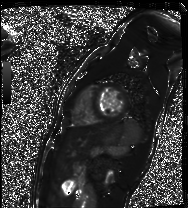
Case summary: Cardiac MR image of the myocardium. Subject cohort: healthy volunteer.